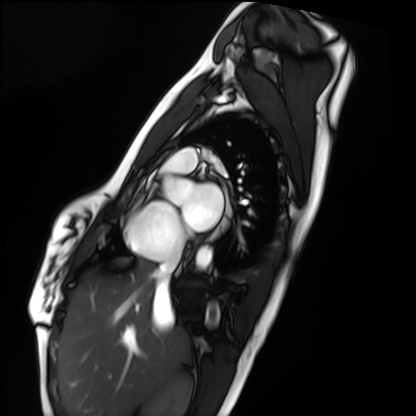
Cardiac MRI.
Subject group: healthy volunteer.